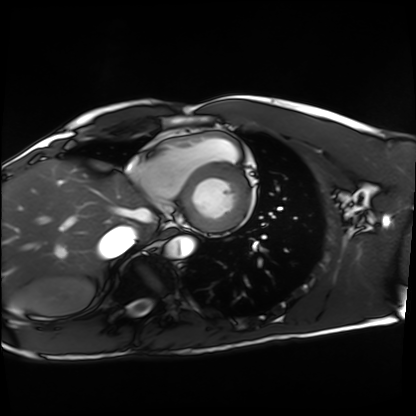
Summary:
Cardiac MRI. Subject group: healthy volunteer.